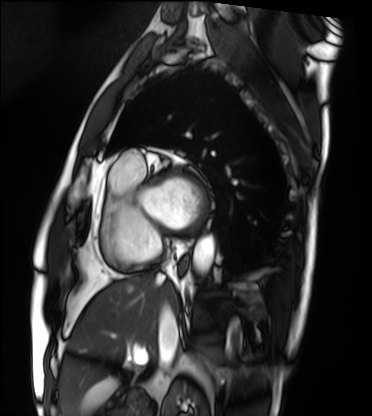
| field | value |
|---|---|
| modality | cardiac MRI |
| subject group | patient |